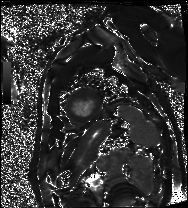
| field | value |
|---|---|
| modality | cardiac MRI |
| subject group | patient |